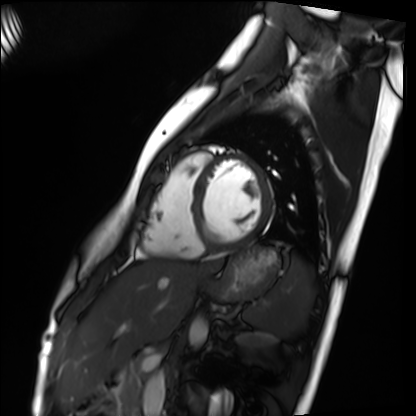
Cardiac MRI. Subject group: healthy volunteer.